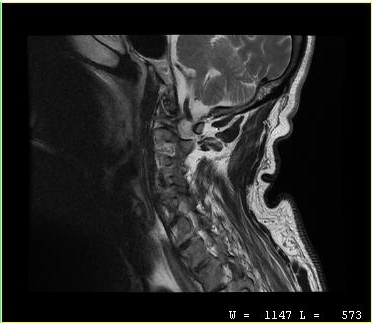
Case:
- modality · MRI of the cervical spine
- study · cervical spondylosis